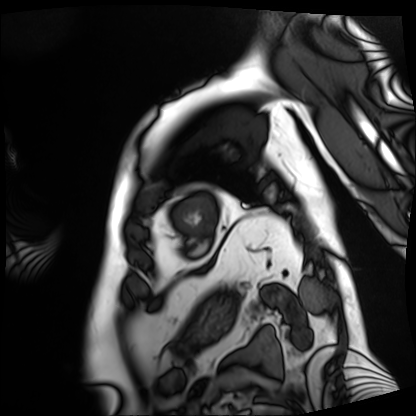
modality: cardiac MRI
subject group: patient